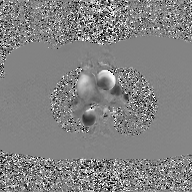
2D phase-contrast cine MRI of the ascending aorta, GAN super-resolution reconstruction.